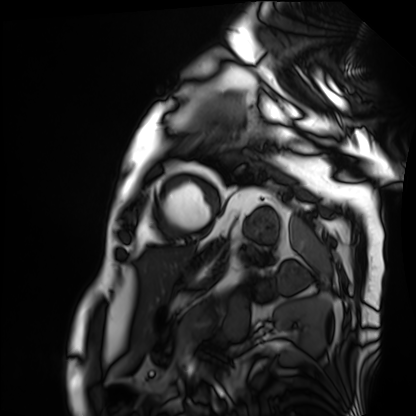
{
  "modality": "cardiac MRI",
  "cohort": "patient"
}